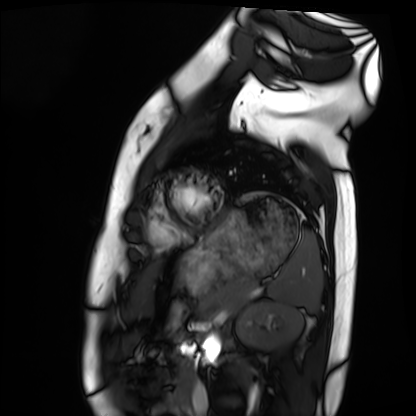
modality = cardiac MRI, subject group = healthy volunteer.